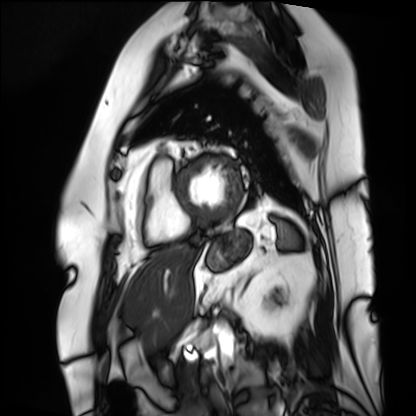
modality = cardiac MRI; subject group = patient.